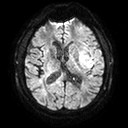
3 Tesla brain MRI. Series: diffusion tensor imaging (medium iso). Study: ring-enhancing brain masses.